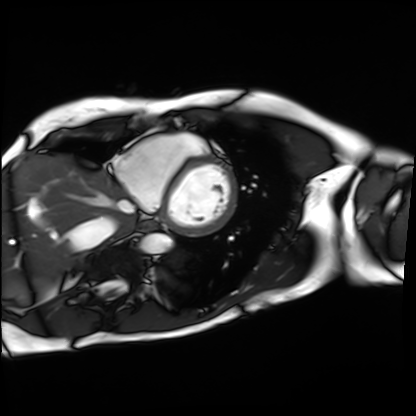
Q: What kind of scan is this?
A: Cardiac MRI.
Subject group: patient.